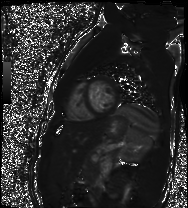
Cardiac MR image of the myocardium.
Subject cohort: healthy volunteer.